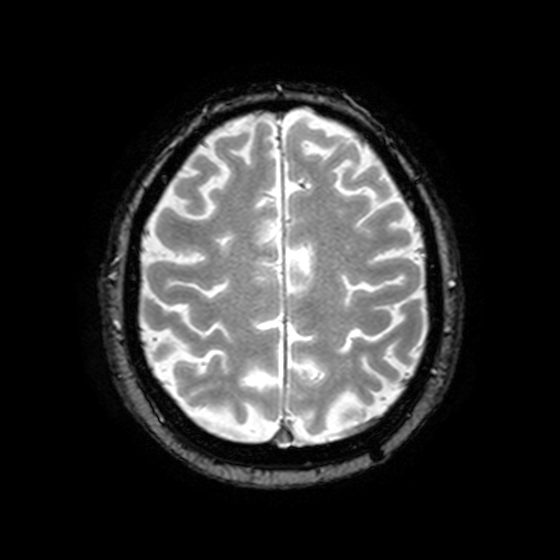
3 Tesla brain MRI. Study: ring-enhancing brain masses.